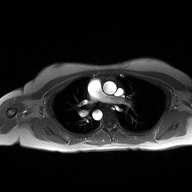
Case:
– modality — 2D phase-contrast cine MRI of the ascending aorta